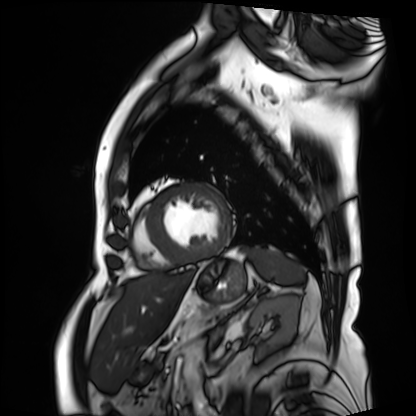
Cardiac MRI. Subject group: patient.